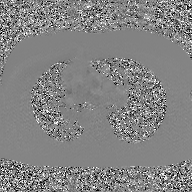
Clinical context:
2D phase-contrast cine MRI of the ascending aorta, GAN super-resolution reconstruction.